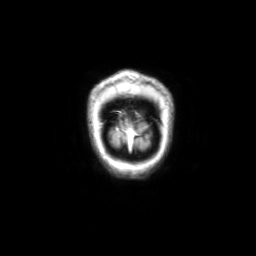
{
  "modality": {
    "type": "brain MRI",
    "field_strength": "3T"
  },
  "series": "coronal with contrast",
  "study_topic": "ring-enhancing brain masses"
}